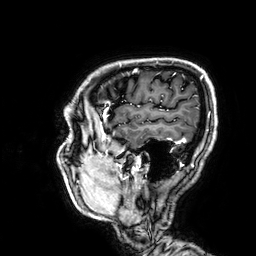
| field | value |
|---|---|
| modality | 3 Tesla brain MRI |
| series | 3D T1-weighted |
| study | ring-enhancing brain masses |